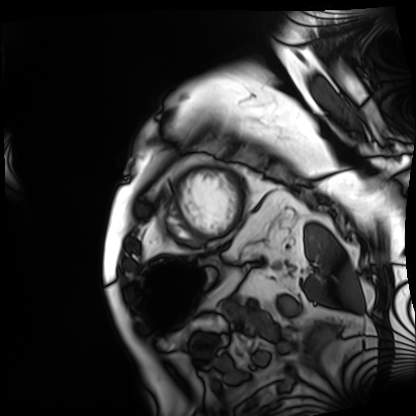
modality = cardiac MRI
subject group = patient